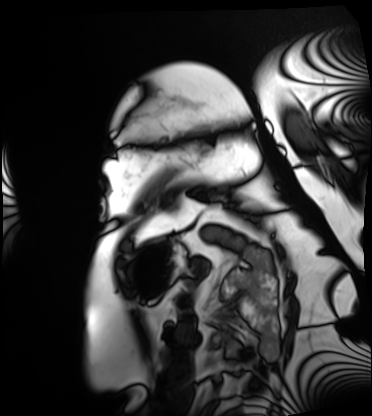
modality: cardiac MRI; subject group: patient.